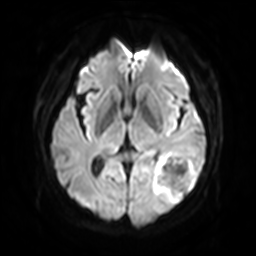
modality: 3 Tesla brain MRI; series: diffusion-weighted imaging with SENSE (WIP); study: ring-enhancing brain masses.